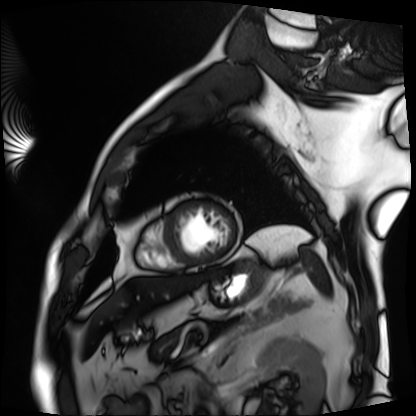
Cardiac MRI.
Subject group: patient.